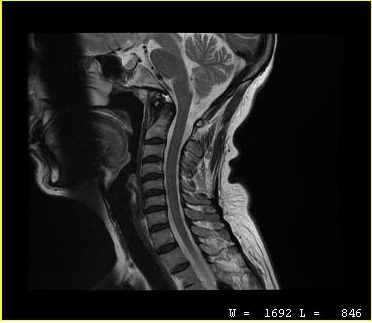
Q: What kind of scan is this?
A: MRI of the cervical spine.
Study: cervical spondylosis.